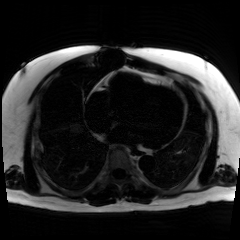
Case summary:
Chemical-shift-encoded cardiac MRI.